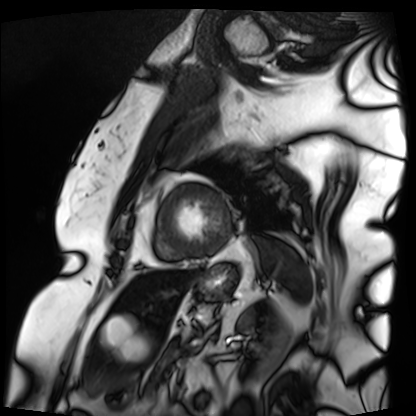
* modality: cardiac MRI
* subject group: patient